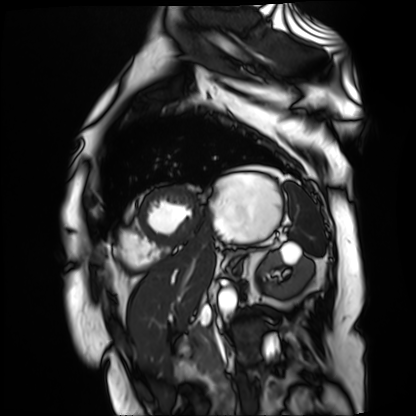
<scan>
  <modality>cardiac MR image of the myocardium</modality>
  <cohort>cardiac patient</cohort>
</scan>